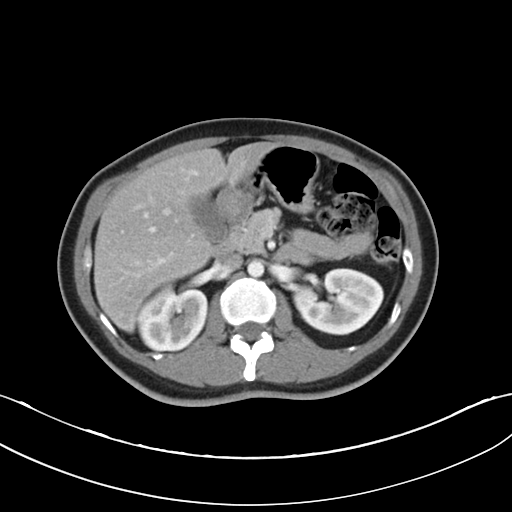
Multiphase abdominal CT, liver, arterial phase.
Patient: female, age 37.